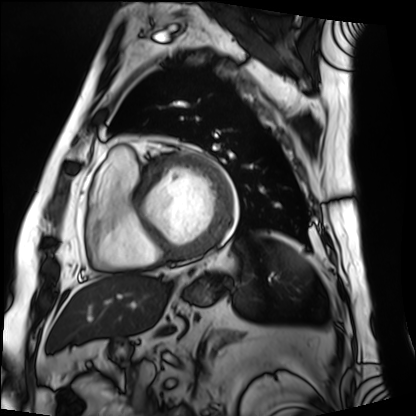
modality: cardiac MRI
subject group: patient